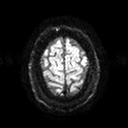
3 Tesla brain MRI.
Series: diffusion tensor imaging (medium iso).
Study: ring-enhancing brain masses.